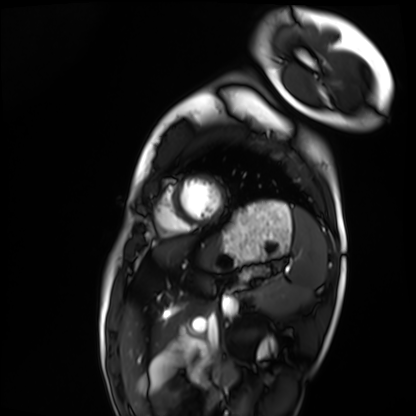
Cardiac MRI. Subject group: healthy volunteer.